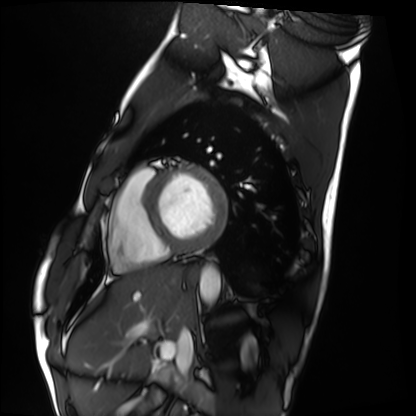
{
  "modality": "cardiac MRI",
  "cohort": "healthy volunteer"
}